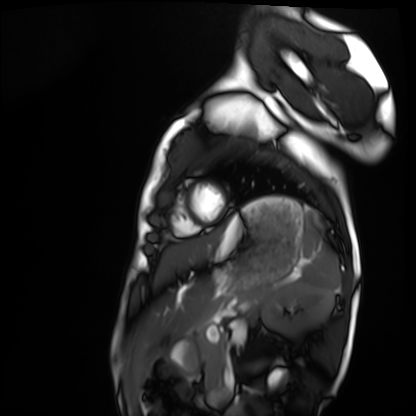
Summary:
Cardiac MRI. Subject group: healthy volunteer.